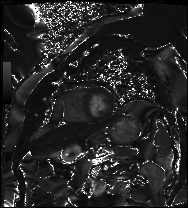
modality = cardiac MRI
subject group = patient